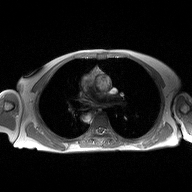
2D phase-contrast cine MRI of the ascending aorta, high-resolution GRAPPA acquisition.